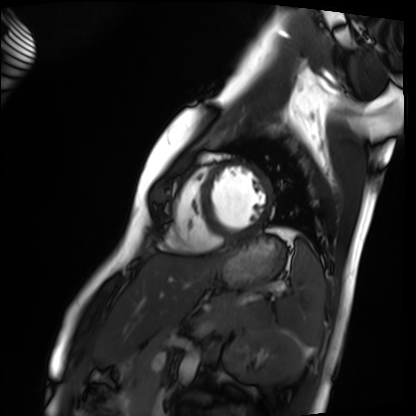
Cardiac MRI. Subject group: healthy volunteer.